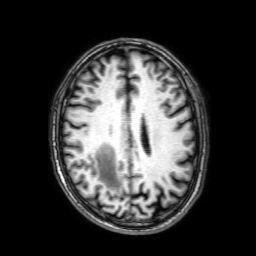
modality = 3 Tesla brain MRI | series = 3D T1-weighted with SENSE | study = ring-enhancing brain masses.